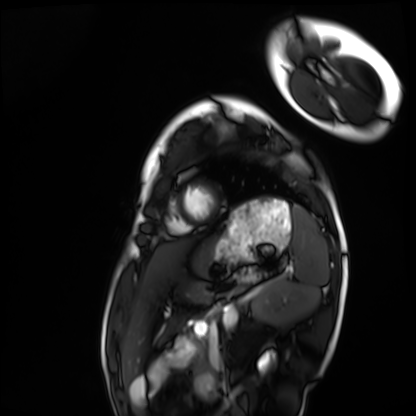
• modality · cardiac MRI
• subject group · healthy volunteer